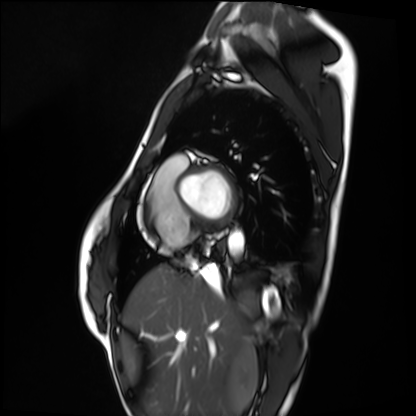
Cardiac MRI. Subject group: healthy volunteer.